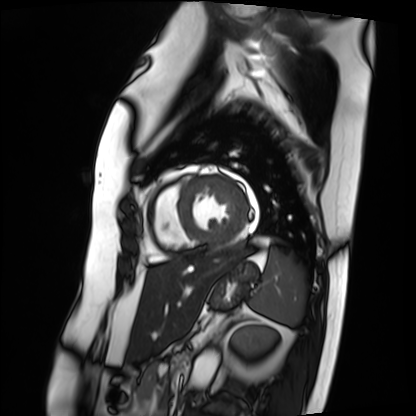
modality — cardiac MRI; subject group — patient.